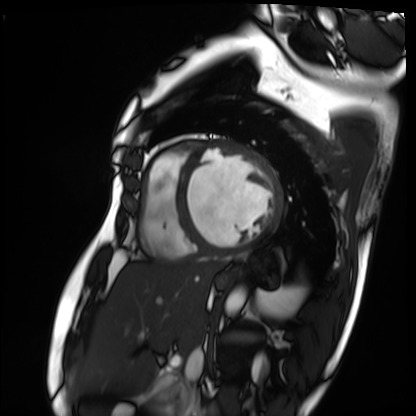
Summary:
Cardiac MRI. Subject group: patient.